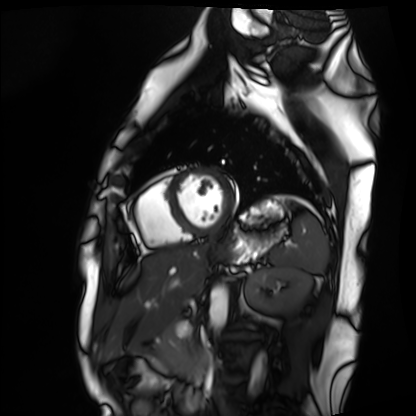
• modality · cardiac MRI
• subject group · healthy volunteer